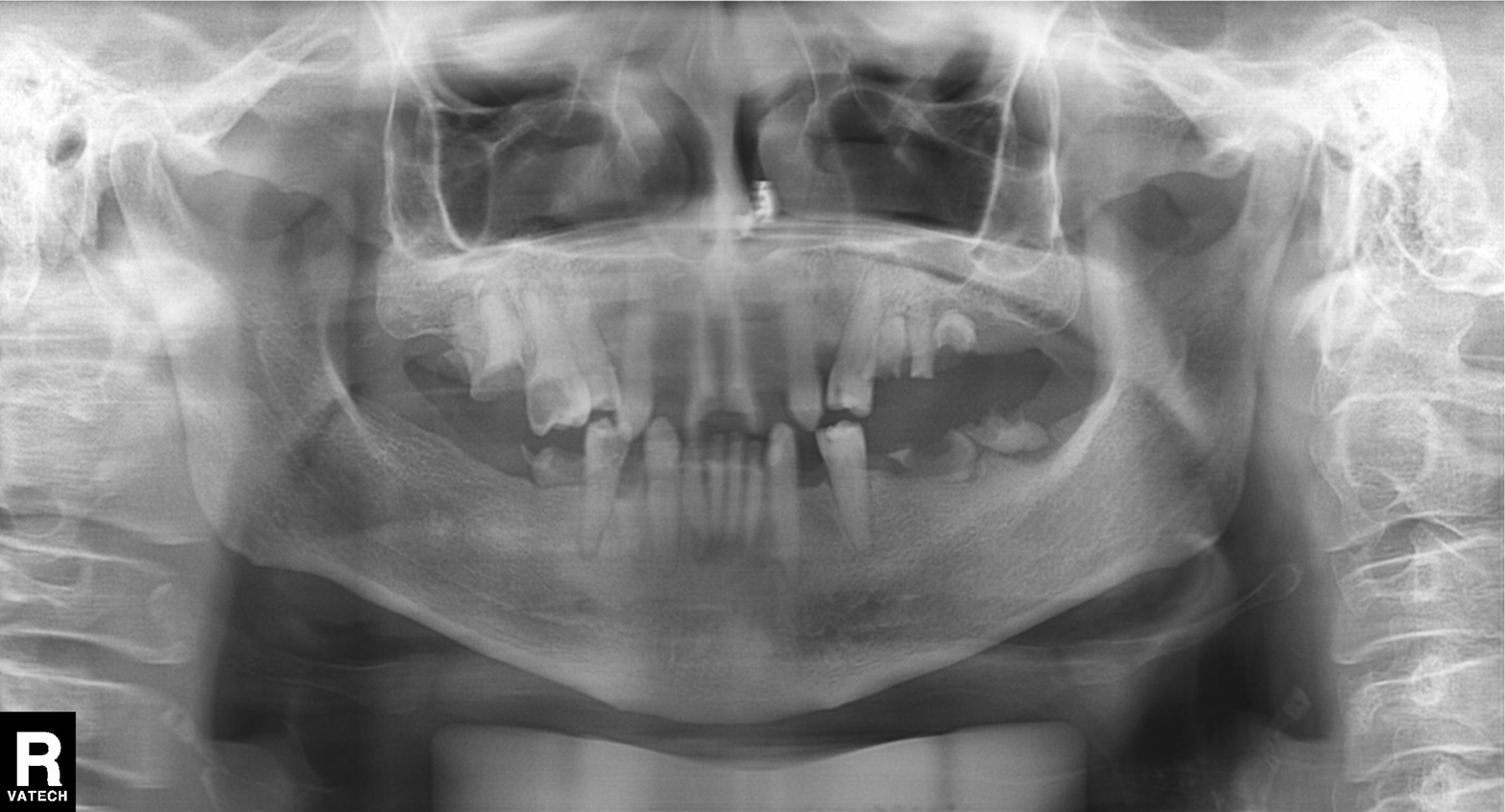
Summary: Panoramic dental radiograph (orthopantomogram).
Conclusion: Tooth impaction.